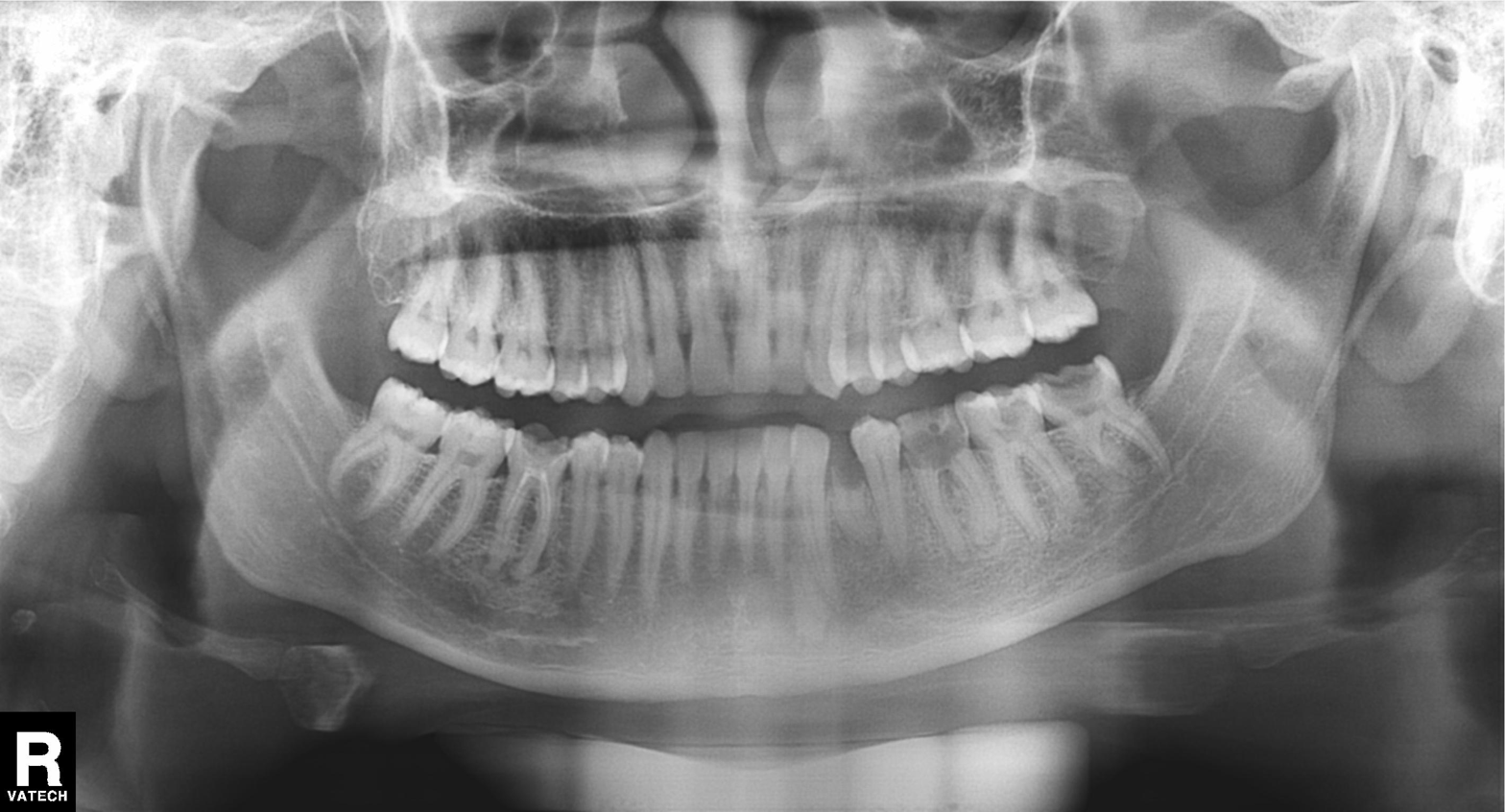
Panoramic dental radiograph (orthopantomogram).
Finding: alveolar bone loss.